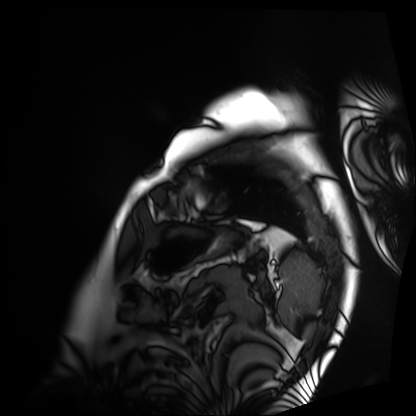
- modality — cardiac MRI
- subject group — patient